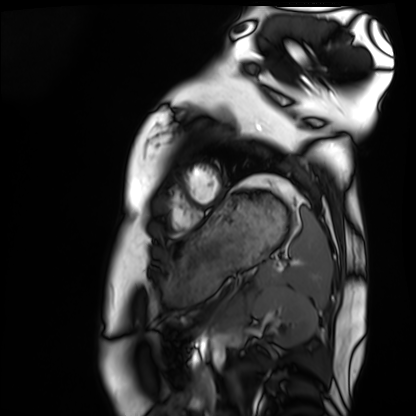
Cardiac MRI. Subject group: healthy volunteer.